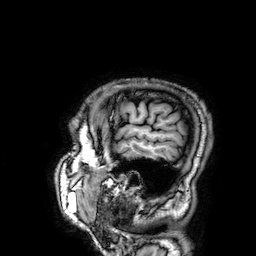
3 Tesla brain MRI.
Study: ring-enhancing brain masses.